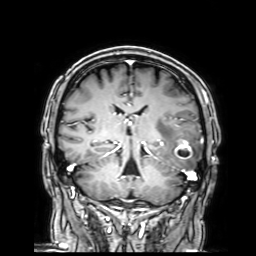
Q: What kind of scan is this?
A: 3 Tesla brain MRI.
Q: Series?
A: 3D T1-weighted with SENSE.
Study: ring-enhancing brain masses.